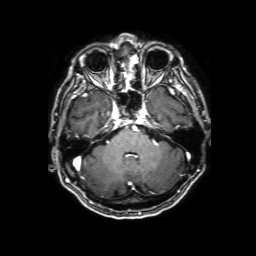
Case:
- modality · 3 Tesla brain MRI
- series · 3D T1-weighted with SENSE
- study · ring-enhancing brain masses